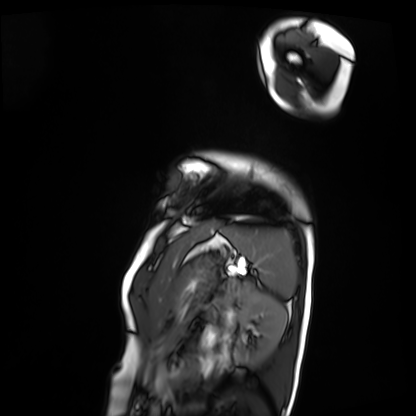
- modality · cardiac MRI
- subject group · patient